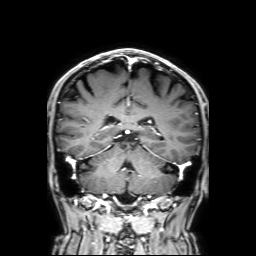
modality: 3 Tesla brain MRI | series: 3D T1-weighted with SENSE | study: ring-enhancing brain masses.